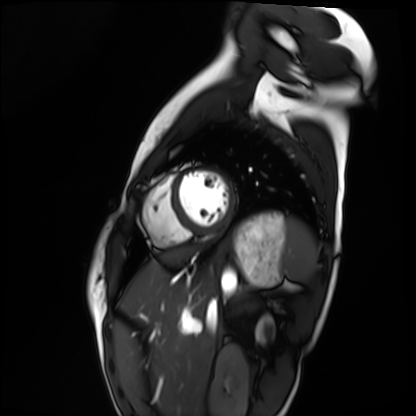
Cardiac MRI. Subject group: healthy volunteer.